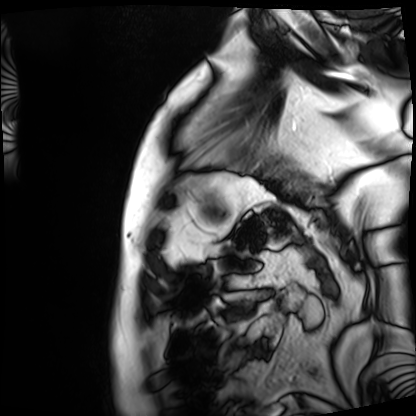
Case:
– modality · cardiac MRI
– subject group · patient